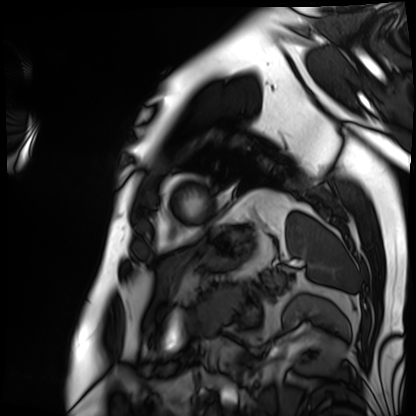
Q: What kind of scan is this?
A: Cardiac MRI.
Subject group: patient.